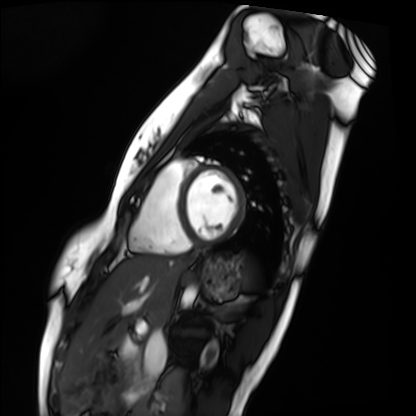
Cardiac MRI.
Subject group: healthy volunteer.